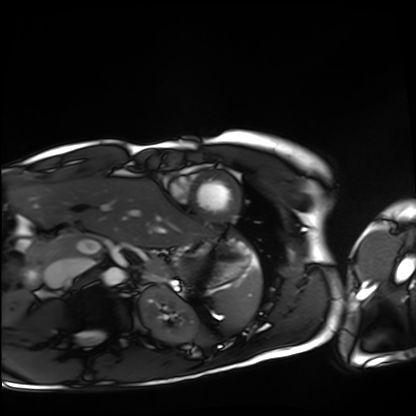
Clinical context: Cardiac MRI. Subject group: healthy volunteer.